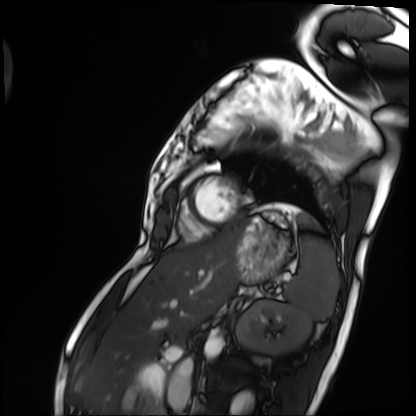
Cardiac MRI.
Subject group: patient.